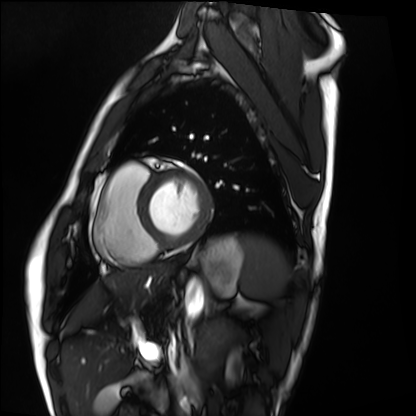
modality=cardiac MRI | subject group=healthy volunteer.